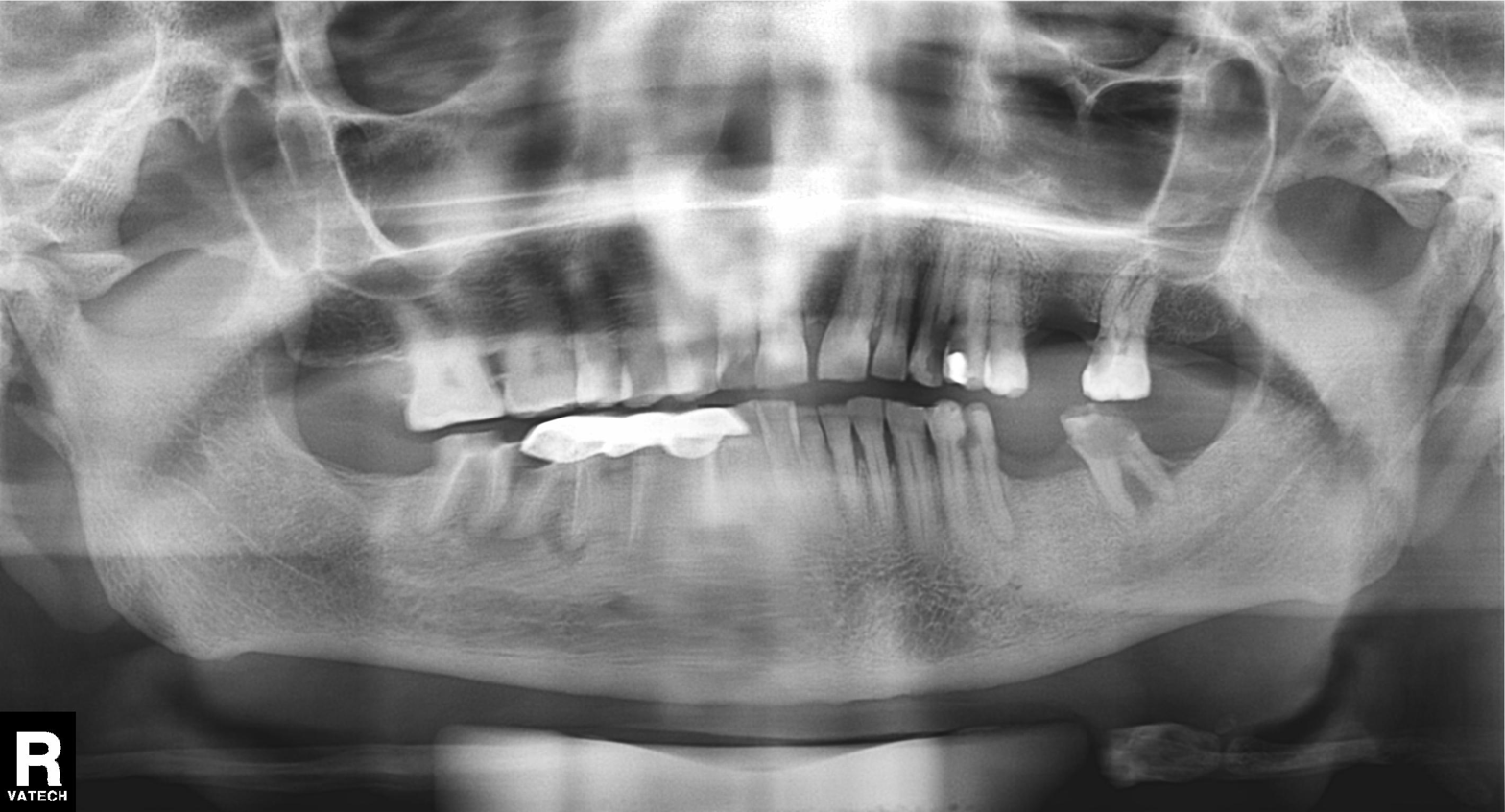
modality: panoramic dental radiograph (orthopantomogram)
finding: dental caries (cavities)